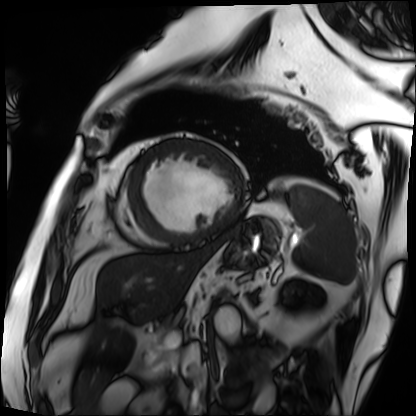
modality — cardiac MRI | subject group — patient.